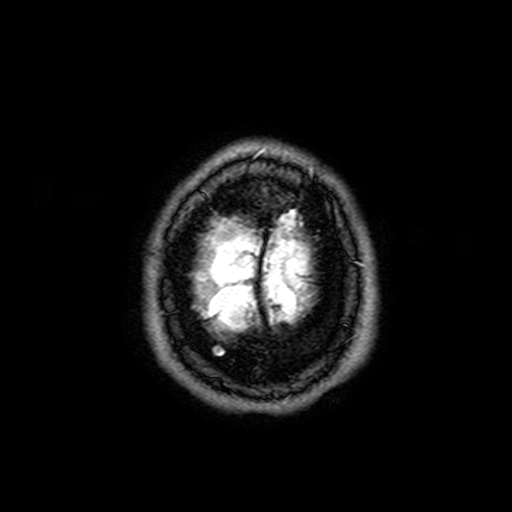
<case>
<modality>
  <type>brain MRI</type>
  <field_strength>3T</field_strength>
</modality>
<series>FLAIR with SPAIR, 3 mm</series>
<study_topic>ring-enhancing brain masses</study_topic>
</case>